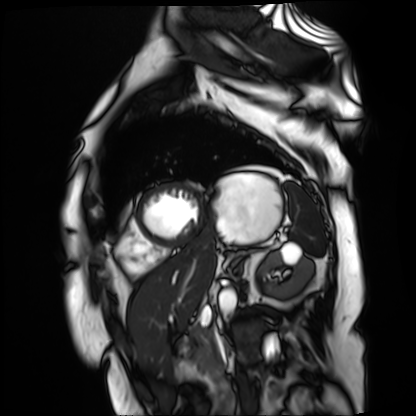
Case summary:
Cardiac MR image of the myocardium. Subject cohort: cardiac patient.